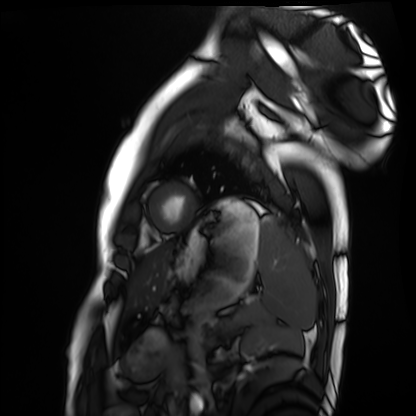
Cardiac MRI. Subject group: healthy volunteer.